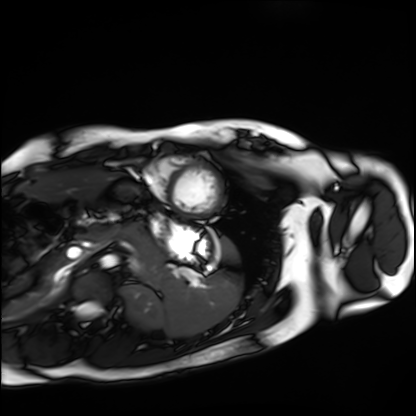
modality = cardiac MRI, subject group = healthy volunteer.